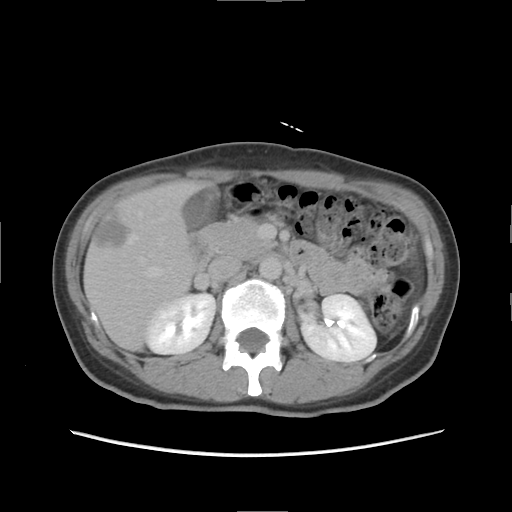
Multiphase abdominal CT, liver, delayed phase. Patient: female, age 47.